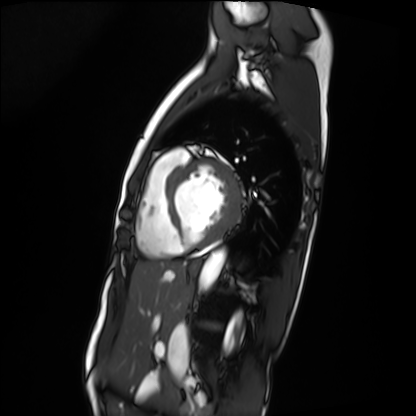
Clinical context:
Cardiac MRI. Subject group: patient.